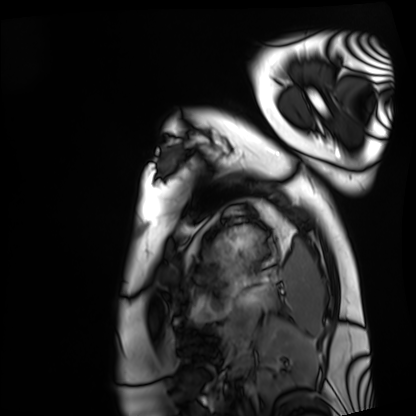
Clinical context: Cardiac MRI. Subject group: healthy volunteer.